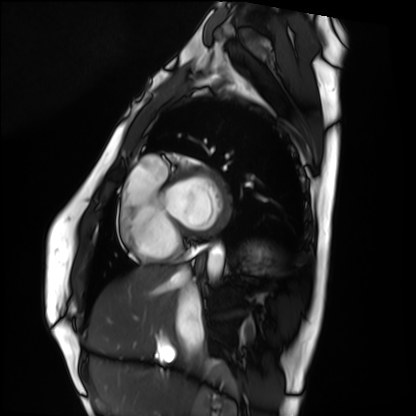
Cardiac MRI.
Subject group: healthy volunteer.